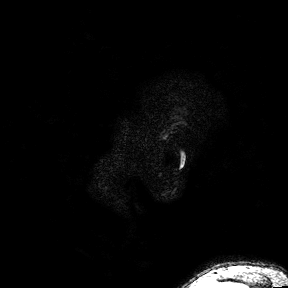
3 Tesla brain MRI.
Series: 3D T1-weighted turbo field echo with SENSE.
Study: ring-enhancing brain masses.